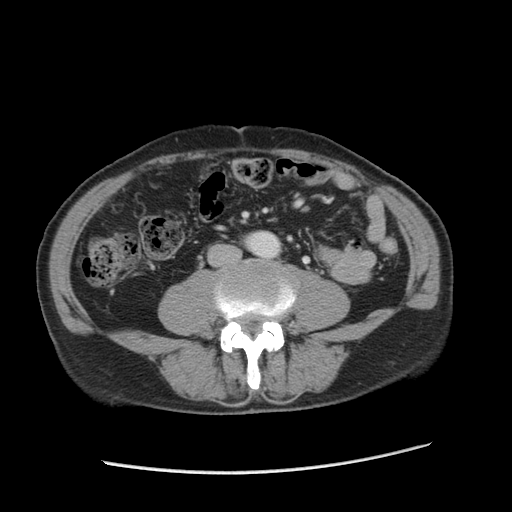
Multiphase abdominal CT, liver, portal venous phase. Patient: male, age 76.